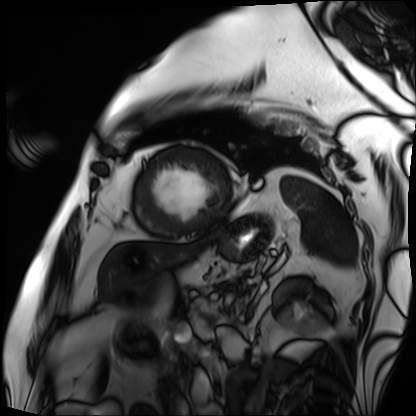
Cardiac MRI. Subject group: patient.